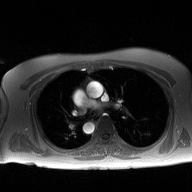
2D phase-contrast cine MRI of the ascending aorta, high-resolution GRAPPA acquisition.